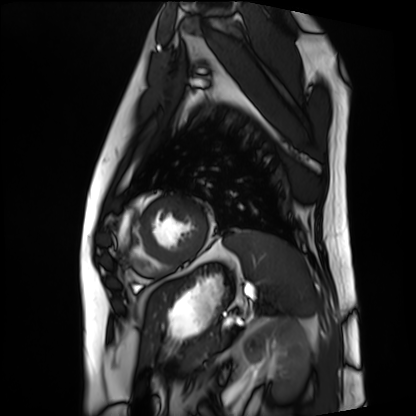
| field | value |
|---|---|
| modality | cardiac MRI |
| subject group | patient |